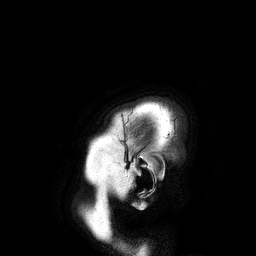
modality: 3 Tesla brain MRI
series: 3D T1-weighted turbo field echo
study: ring-enhancing brain masses